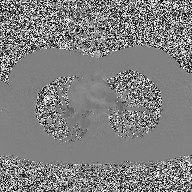
modality: 2D phase-contrast cine MRI of the ascending aorta